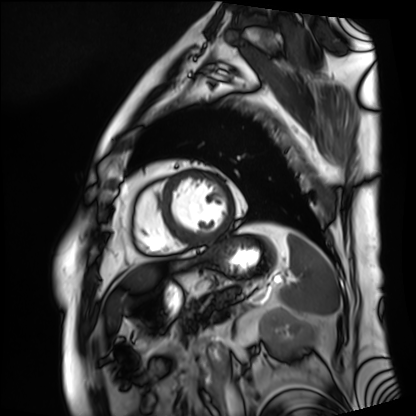
Cardiac MRI. Subject group: patient.